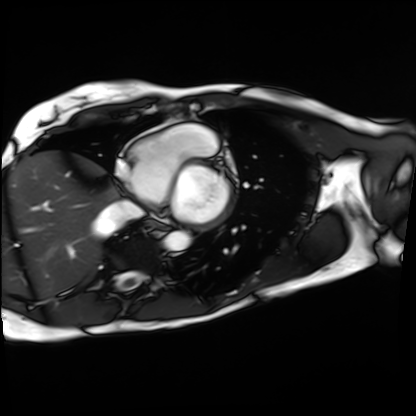
modality=cardiac MRI; subject group=patient.